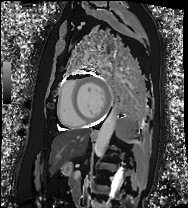
Cardiac MRI. Subject group: patient.